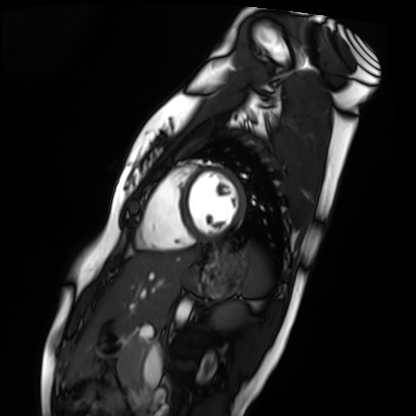
Cardiac MRI. Subject group: healthy volunteer.